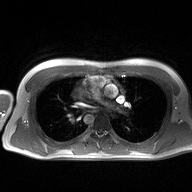
{"modality": {"type": "2D phase-contrast cine MRI", "region": "ascending aorta", "reconstruction": "high-resolution GRAPPA acquisition"}}